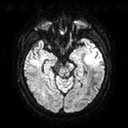
Summary:
3 Tesla brain MRI. Series: diffusion tensor imaging (medium iso). Study: ring-enhancing brain masses.